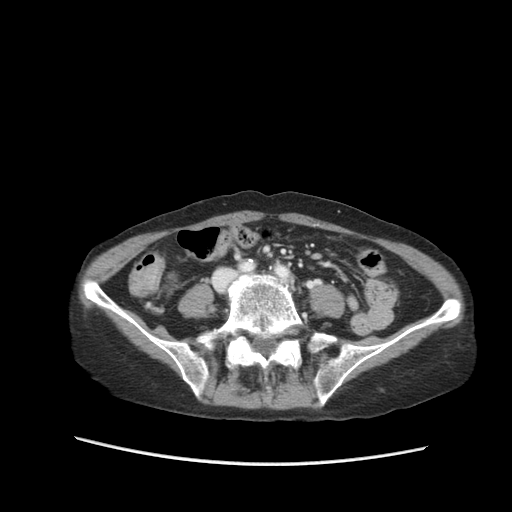
Q: What kind of scan is this?
A: Multiphase abdominal CT, liver, portal venous phase.
Q: Patient?
A: Female, age 68.